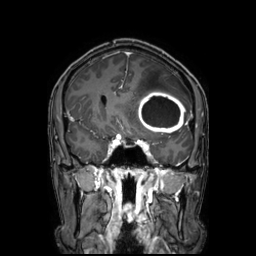
3 Tesla brain MRI.
Series: 3D T1-weighted TFE with SENSE.
Study: ring-enhancing brain masses.